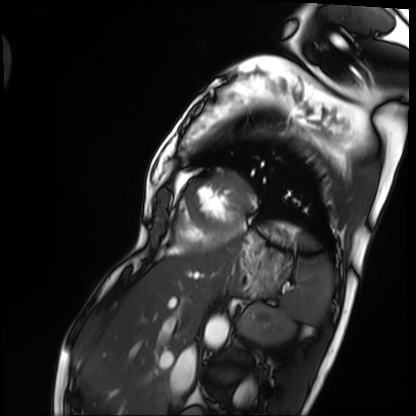
modality: cardiac MRI | subject group: patient.